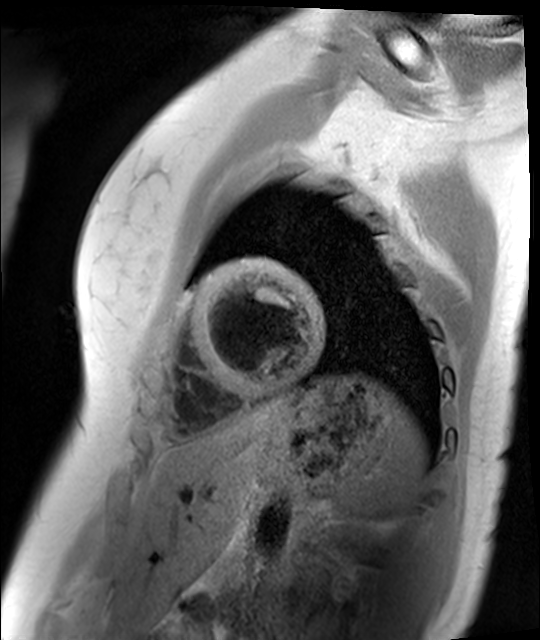
<scan>
  <modality>cardiac MR image of the myocardium</modality>
  <cohort>healthy volunteer</cohort>
</scan>